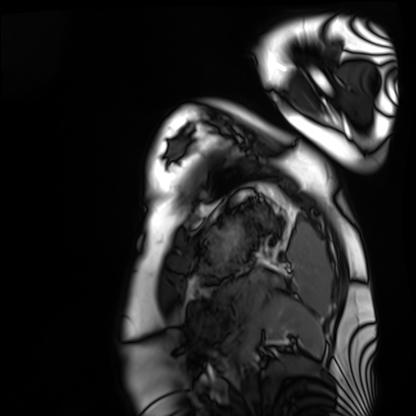
{"modality": "cardiac MRI", "cohort": "healthy volunteer"}